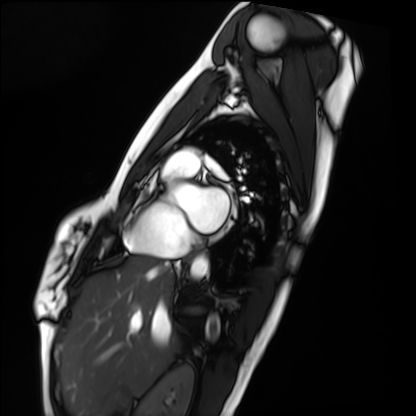
Q: What kind of scan is this?
A: Cardiac MRI.
Subject group: healthy volunteer.